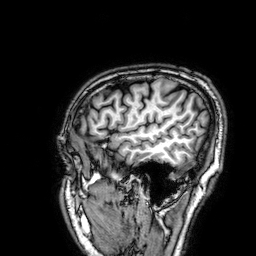
Q: What kind of scan is this?
A: 3 Tesla brain MRI.
Study: ring-enhancing brain masses.